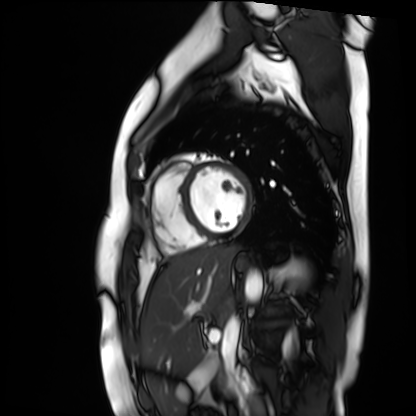
Q: What kind of scan is this?
A: Cardiac MR image of the myocardium.
Subject cohort: healthy volunteer.